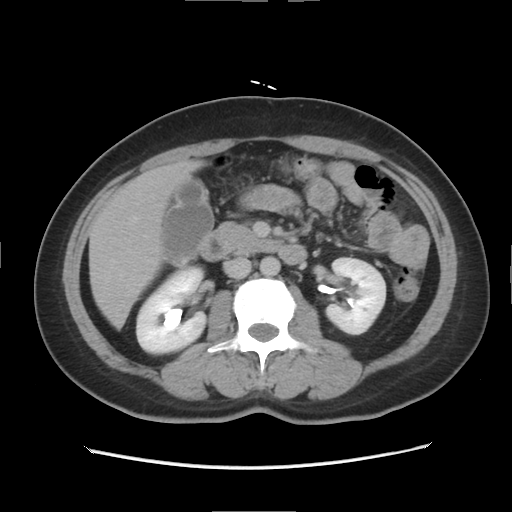
Multiphase abdominal CT, liver, delayed phase. Patient: female, age 47.